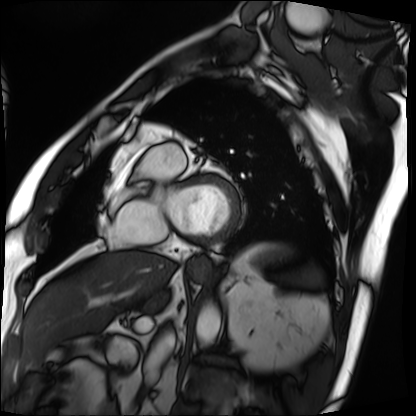
| field | value |
|---|---|
| modality | cardiac MRI |
| subject group | patient |